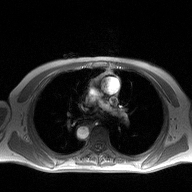
2D phase-contrast cine MRI of the ascending aorta, high-resolution GRAPPA acquisition.